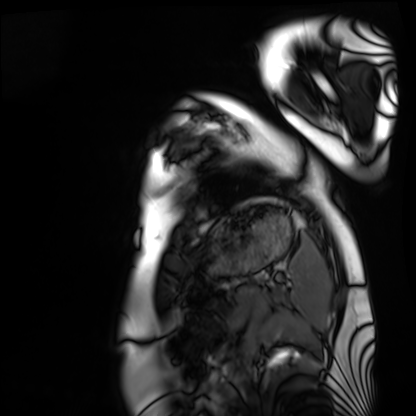
modality = cardiac MRI | subject group = healthy volunteer.